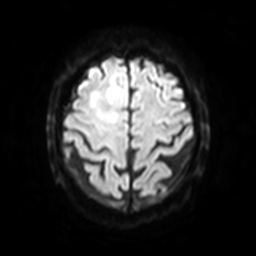
Clinical context:
3 Tesla brain MRI. Series: diffusion-weighted imaging with SENSE (WIP). Study: ring-enhancing brain masses.